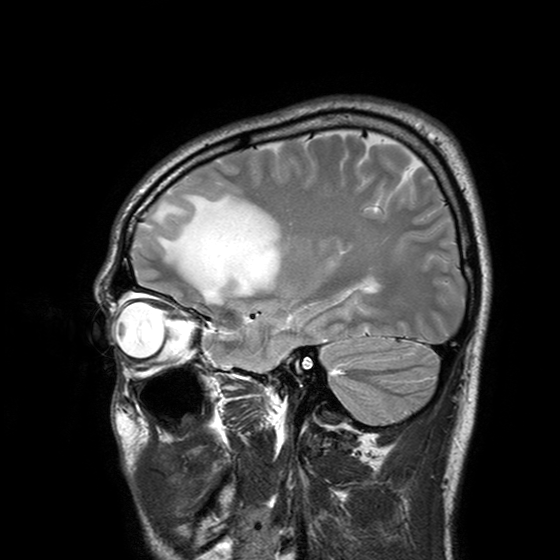
Summary: 3 Tesla brain MRI. Series: T2-weighted turbo spin echo with SENSE. Study: ring-enhancing brain masses.